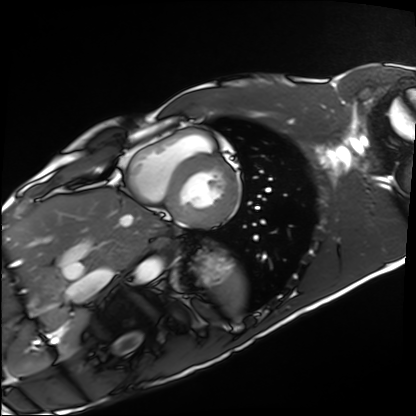
Cardiac MRI. Subject group: healthy volunteer.